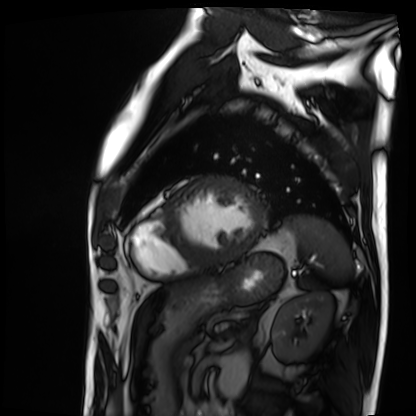
Cardiac MRI.
Subject group: patient.